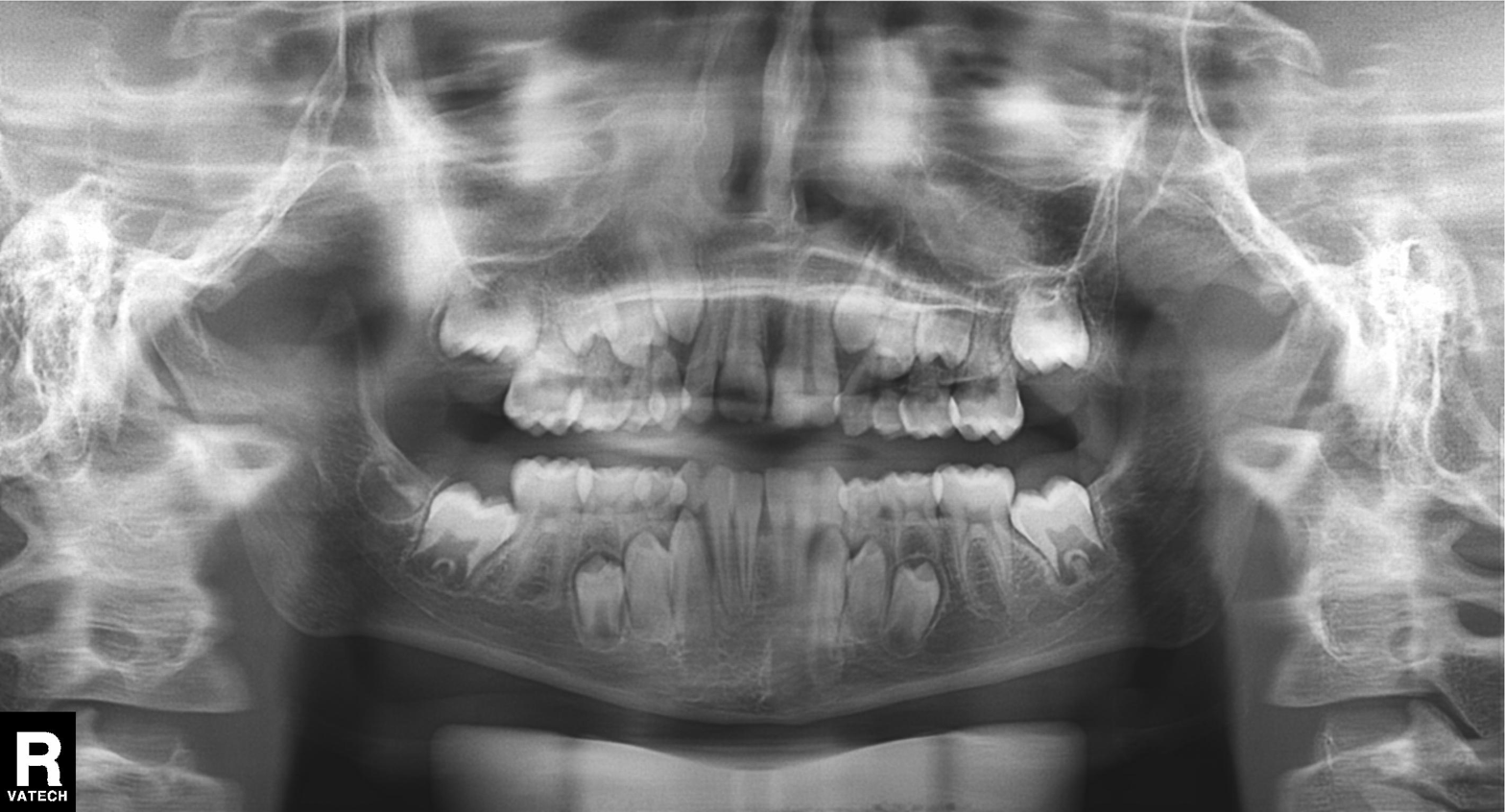
<case>
<modality>panoramic dental radiograph (orthopantomogram)</modality>
<finding>tooth impaction</finding>
</case>